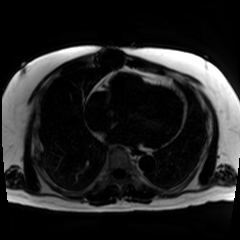
{"modality": "chemical-shift-encoded cardiac MRI"}